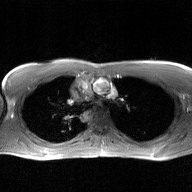
modality = 2D phase-contrast cine MRI of the ascending aorta, GAN super-resolution reconstruction.